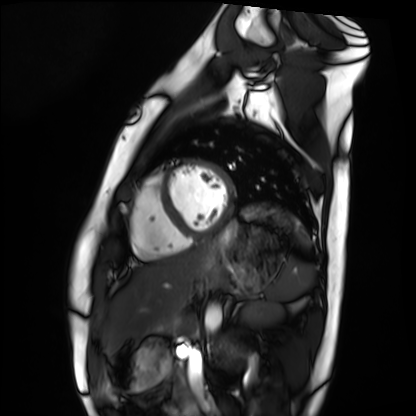
<record>
<modality>cardiac MRI</modality>
<cohort>healthy volunteer</cohort>
</record>